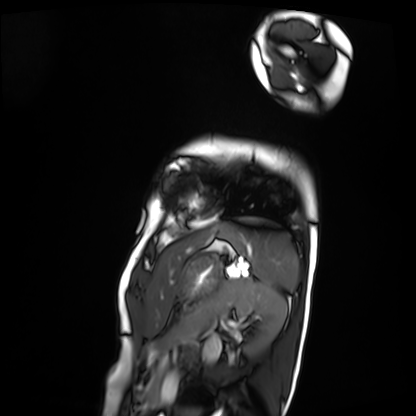
Cardiac MRI.
Subject group: patient.